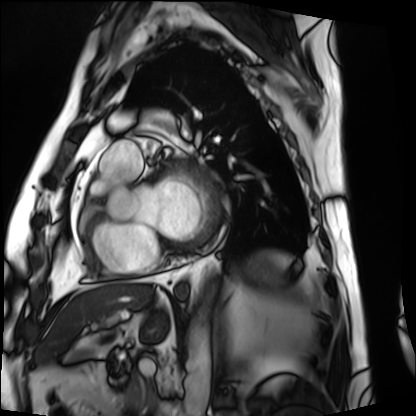
– modality: cardiac MRI
– subject group: patient